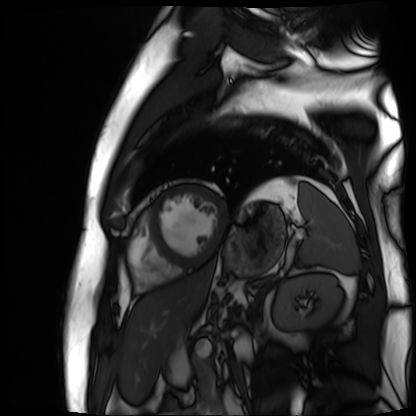
Cardiac MR image of the myocardium.
Subject cohort: cardiac patient.